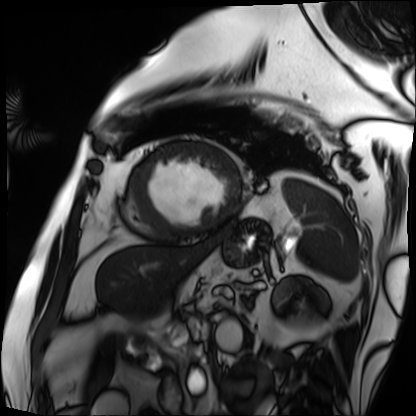
Cardiac MRI.
Subject group: patient.